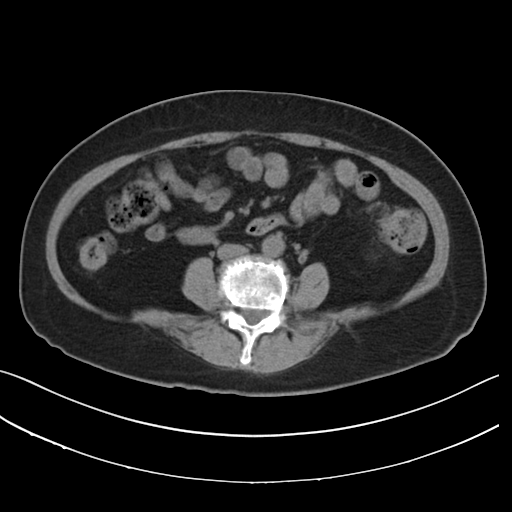
Q: What kind of scan is this?
A: Multiphase abdominal CT, liver, non-contrast phase.
Q: Patient?
A: Female, age 67.
Q: History?
A: Prior chemotherapy.